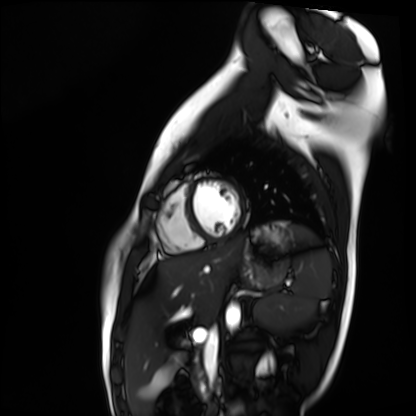
modality — cardiac MR image of the myocardium; subject cohort — healthy volunteer.